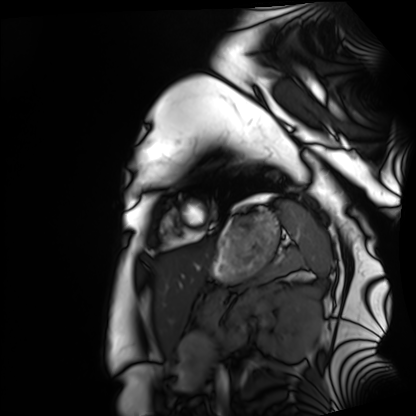
modality: cardiac MRI | subject group: healthy volunteer.